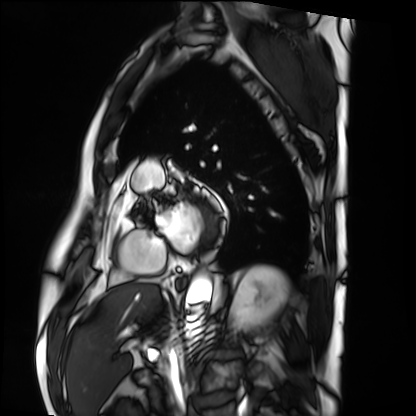
Case:
– modality — cardiac MRI
– subject group — patient